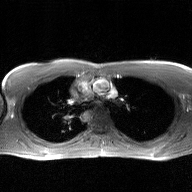
– modality: 2D phase-contrast cine MRI of the ascending aorta, GAN super-resolution reconstruction